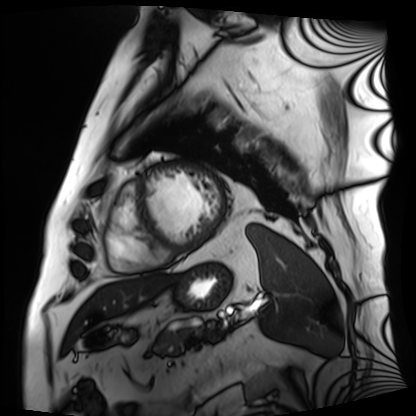
Clinical context:
Cardiac MRI. Subject group: patient.